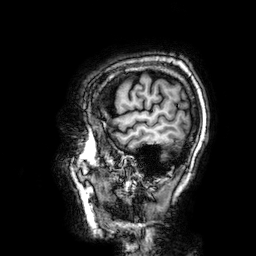
3 Tesla brain MRI.
Series: 3D T1-weighted.
Study: ring-enhancing brain masses.